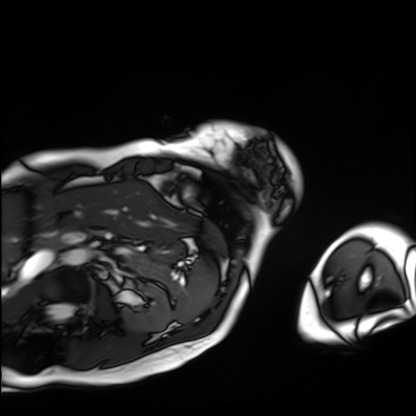
Cardiac MRI. Subject group: patient.